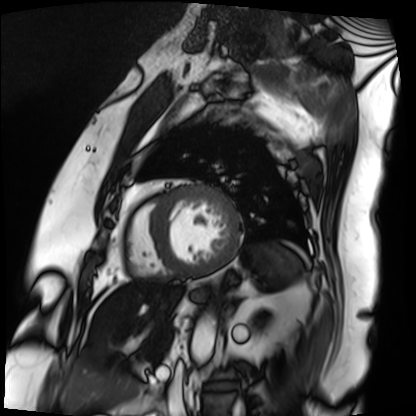
Cardiac MRI. Subject group: patient.